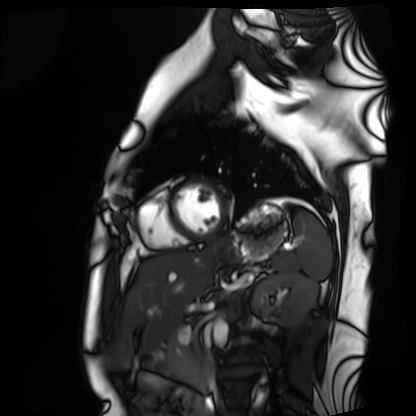
Case:
• modality — cardiac MRI
• subject group — healthy volunteer